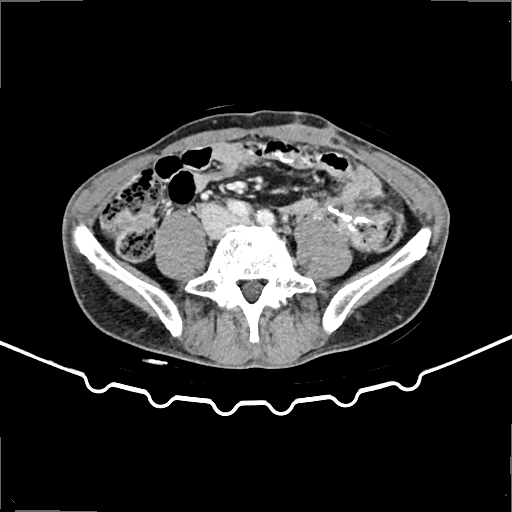
{
  "modality": {
    "type": "multiphase abdominal CT",
    "region": "liver",
    "phase": "delayed"
  },
  "patient": {
    "sex": "male",
    "age": 59
  }
}